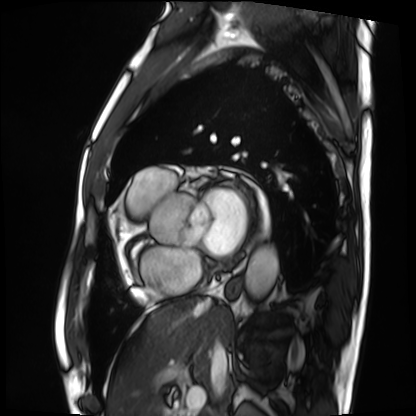
Clinical context:
Cardiac MRI. Subject group: patient.